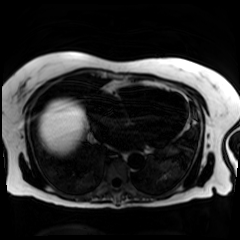
modality = chemical-shift-encoded cardiac MRI.